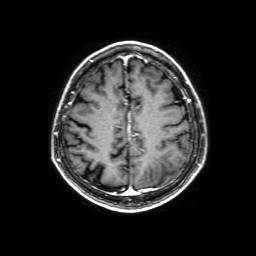
{"modality": {"type": "brain MRI", "field_strength": "3T"}, "series": "3D T1-weighted with SENSE", "study_topic": "ring-enhancing brain masses"}